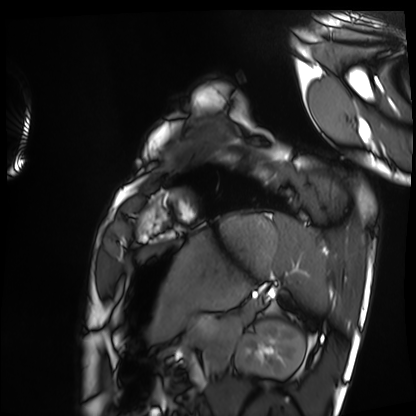
Cardiac MRI. Subject group: healthy volunteer.